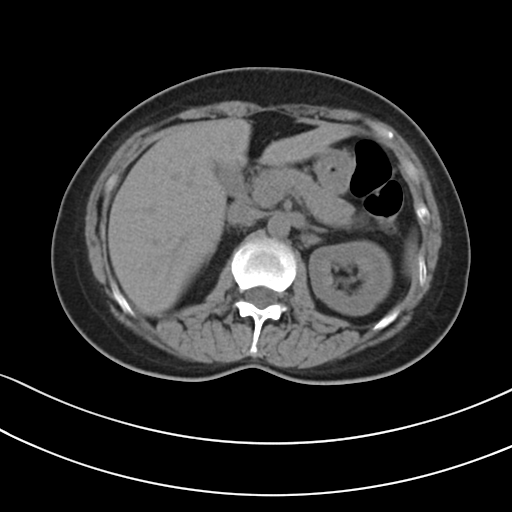
Multiphase abdominal CT, liver, non-contrast phase. Patient: female, age 50.